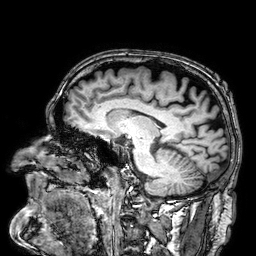
Q: What kind of scan is this?
A: 3 Tesla brain MRI.
Study: ring-enhancing brain masses.